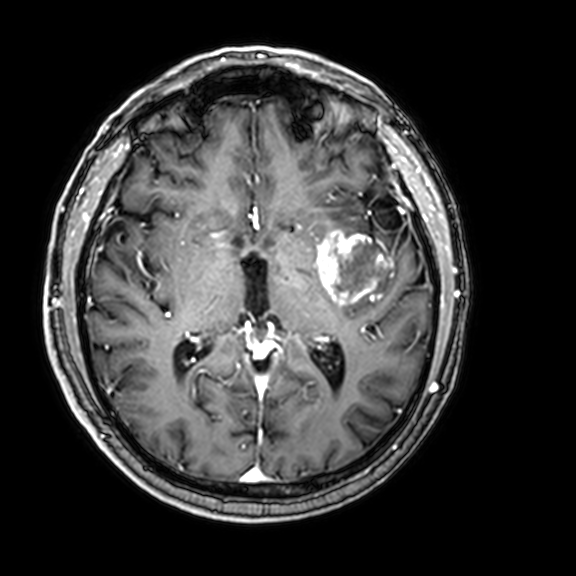
<scan>
<modality>
  <type>brain MRI</type>
  <field_strength>3T</field_strength>
</modality>
<series>3D T1-weighted with CLEAR</series>
<study_topic>ring-enhancing brain masses</study_topic>
</scan>